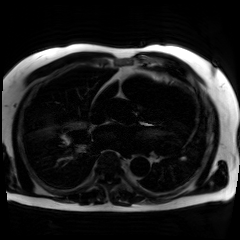
Summary: Chemical-shift-encoded cardiac MRI.